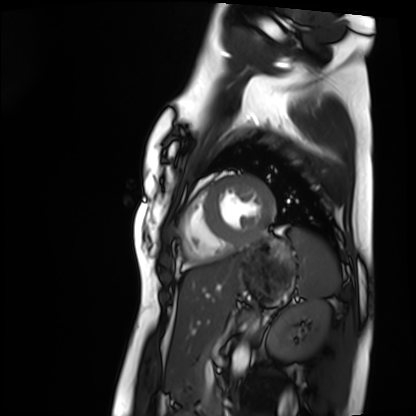
Cardiac MRI.
Subject group: healthy volunteer.